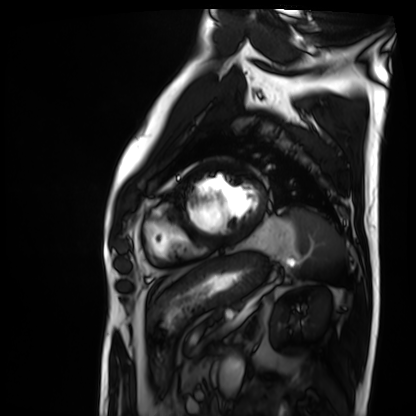
Cardiac MRI.
Subject group: patient.